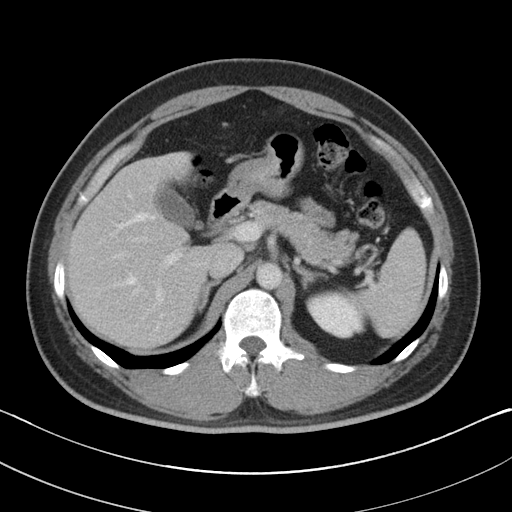
Case summary: Multiphase abdominal CT, liver, portal venous phase. Patient: male, age 39.